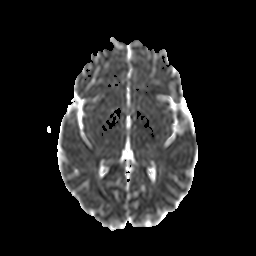
{"modality": {"type": "brain MRI", "field_strength": "3T"}, "series": "diffusion-weighted imaging with CLEAR", "study_topic": "ring-enhancing brain masses"}